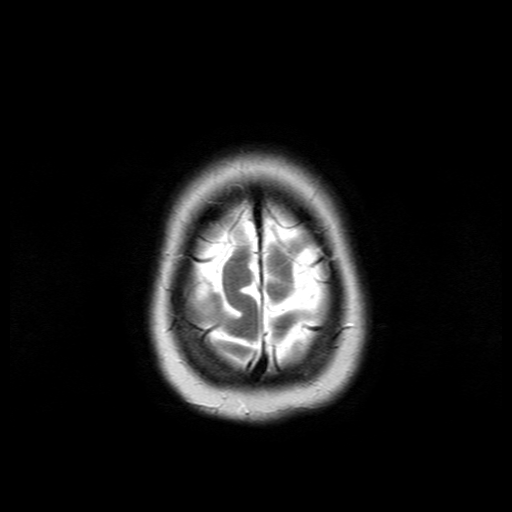
modality: 3 Tesla brain MRI; series: T2-weighted turbo spin echo; study: ring-enhancing brain masses.